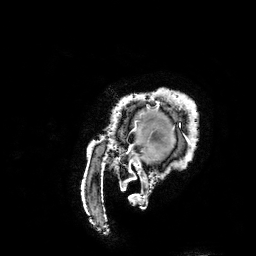
modality = 3 Tesla brain MRI | series = 3D T1-weighted turbo field echo with SENSE | study = ring-enhancing brain masses.